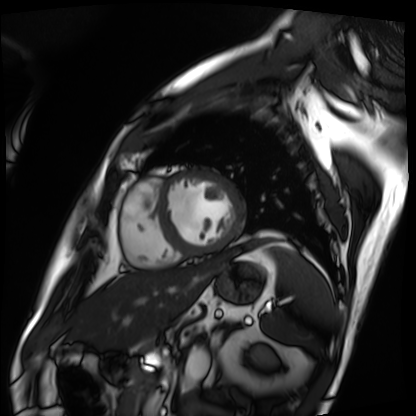
modality = cardiac MRI | subject group = patient.